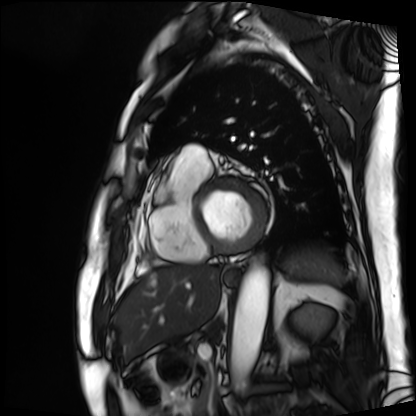
Summary:
Cardiac MRI. Subject group: patient.